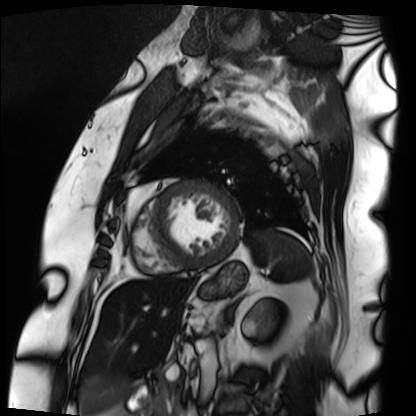
Q: What kind of scan is this?
A: Cardiac MRI.
Subject group: patient.